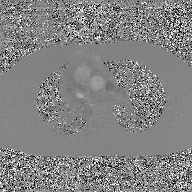
2D phase-contrast cine MRI of the ascending aorta, GAN super-resolution reconstruction.